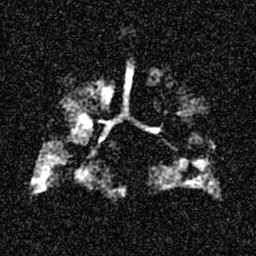
Clinical context: Hyperpolarized 129Xe ventilation MRI of the lungs. SNR level 5 of 8 (the deposit holds this scan as its native image and as seven SNR-degraded versions).